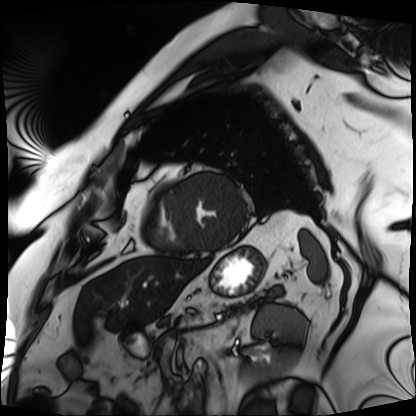
Q: What kind of scan is this?
A: Cardiac MRI.
Subject group: patient.